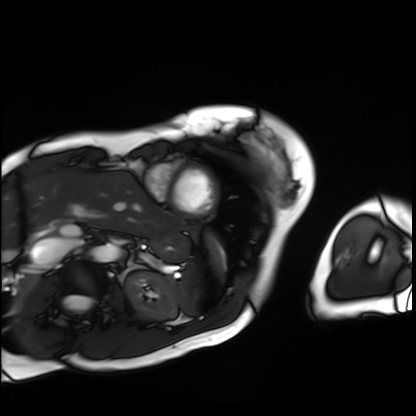
Cardiac MRI.
Subject group: patient.